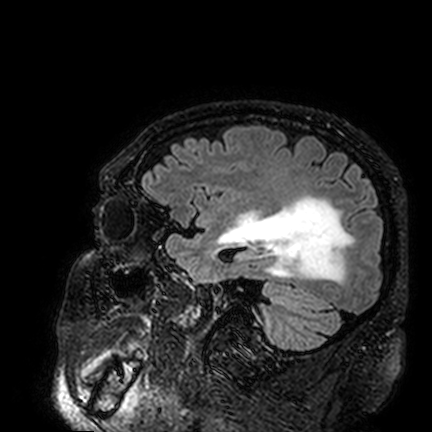
• modality — 3 Tesla brain MRI
• series — FLAIR VISTA
• study — ring-enhancing brain masses